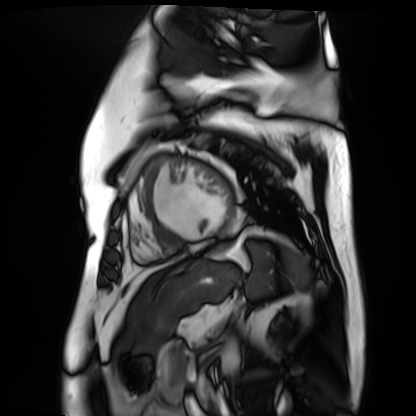
modality: cardiac MR image of the myocardium
subject cohort: cardiac patient